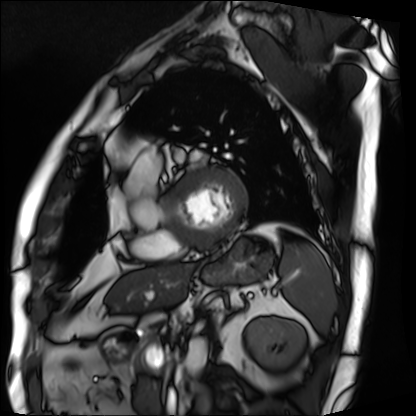
{
  "modality": "cardiac MRI",
  "cohort": "patient"
}